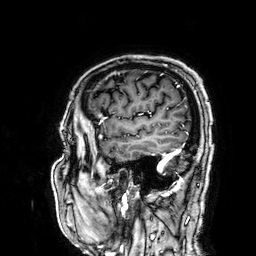
3 Tesla brain MRI. Series: 3D T1-weighted. Study: ring-enhancing brain masses.